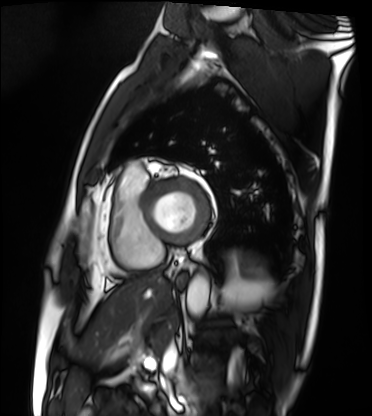
Case:
* modality · cardiac MRI
* subject group · patient